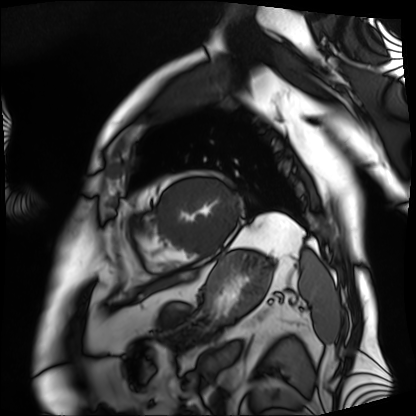
Q: What kind of scan is this?
A: Cardiac MRI.
Subject group: patient.